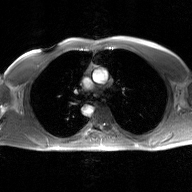
{
  "modality": {
    "type": "2D phase-contrast cine MRI",
    "region": "ascending aorta",
    "reconstruction": "GAN super-resolution reconstruction"
  }
}